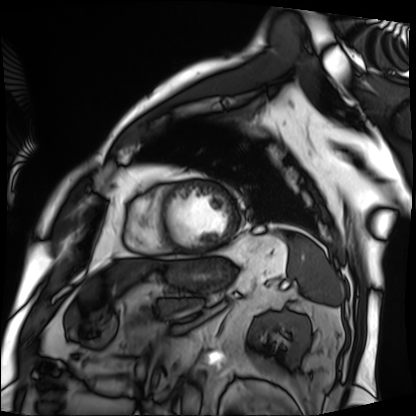
Cardiac MRI.
Subject group: patient.